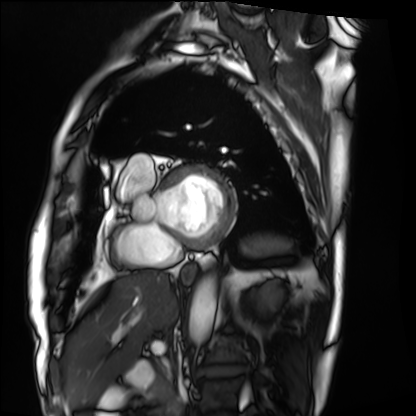
Summary:
Cardiac MRI. Subject group: patient.